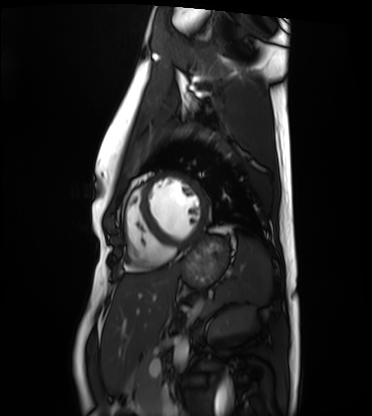
Cardiac MRI. Subject group: healthy volunteer.